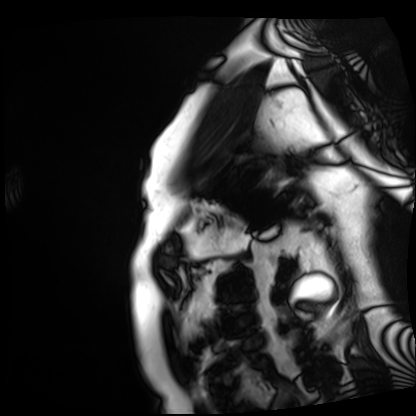
Cardiac MRI. Subject group: patient.